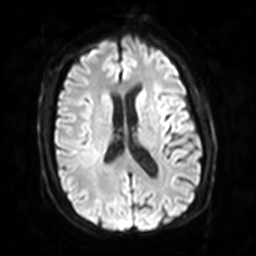
Clinical context: 3 Tesla brain MRI. Series: diffusion-weighted imaging with SENSE (WIP). Study: ring-enhancing brain masses.